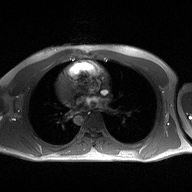
2D phase-contrast cine MRI of the ascending aorta, high-resolution GRAPPA acquisition.